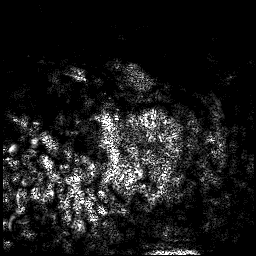
Case summary: 3 Tesla brain MRI. Series: 3D T1-weighted. Study: ring-enhancing brain masses.